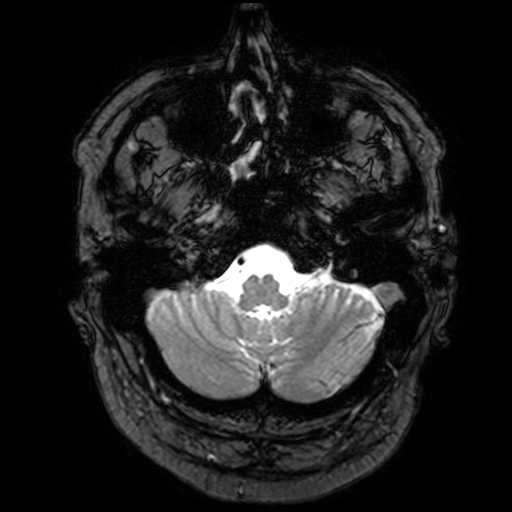
Q: What kind of scan is this?
A: 3 Tesla brain MRI.
Q: Series?
A: T2-weighted fast field echo with SENSE.
Study: ring-enhancing brain masses.